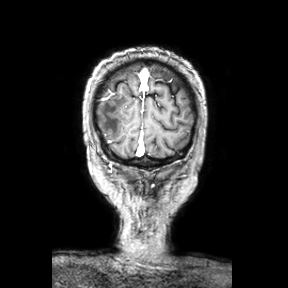
Q: What kind of scan is this?
A: 3 Tesla brain MRI.
Q: Series?
A: Coronal.
Study: ring-enhancing brain masses.